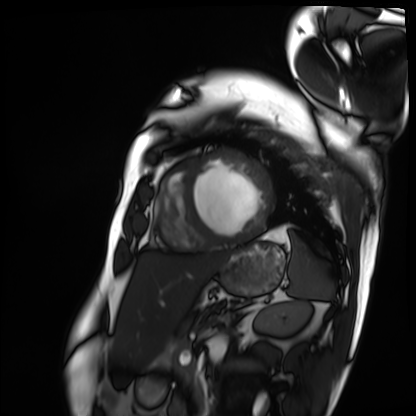
Cardiac MRI. Subject group: patient.